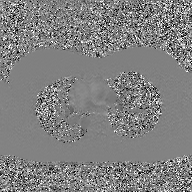
{"modality": {"type": "2D phase-contrast cine MRI", "region": "ascending aorta", "reconstruction": "GAN super-resolution reconstruction"}}